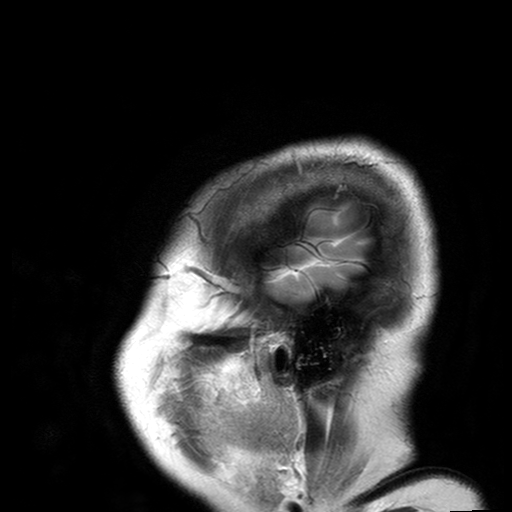
Summary: 3 Tesla brain MRI. Series: T2-weighted turbo spin echo with SENSE. Study: ring-enhancing brain masses.